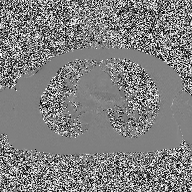
2D phase-contrast cine MRI of the ascending aorta, high-resolution GRAPPA acquisition.